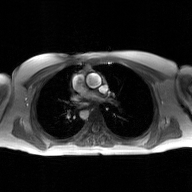
2D phase-contrast cine MRI of the ascending aorta, GAN super-resolution reconstruction.